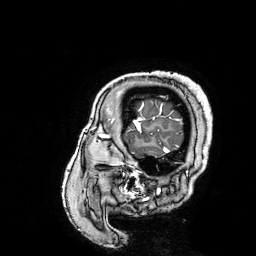
modality=3 Tesla brain MRI
series=3D T1-weighted turbo field echo with SENSE
study=ring-enhancing brain masses